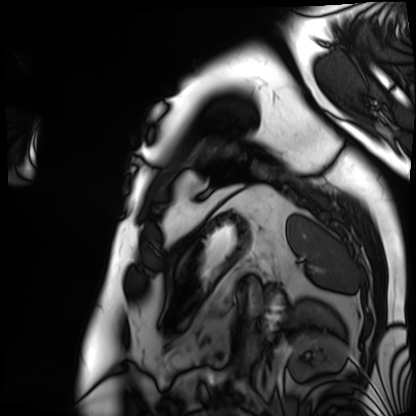
Cardiac MRI. Subject group: patient.